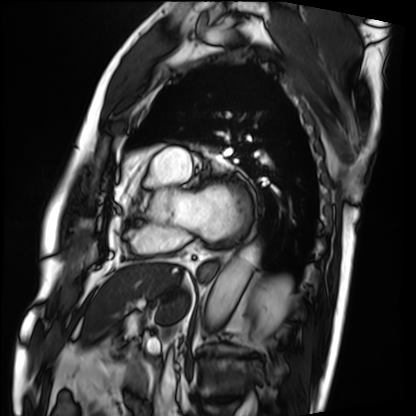
– modality — cardiac MRI
– subject group — patient